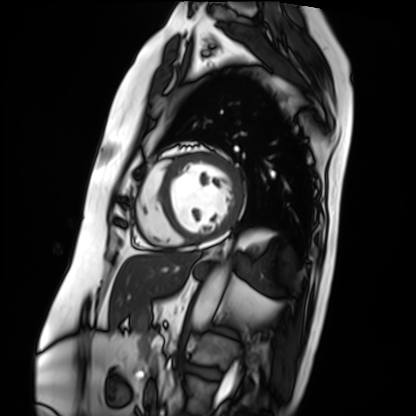
Cardiac MRI. Subject group: patient.